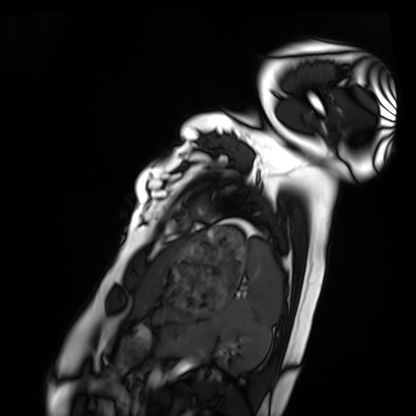
Case summary:
Cardiac MRI. Subject group: healthy volunteer.